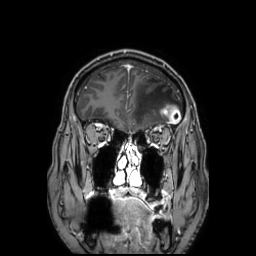
Q: What kind of scan is this?
A: 3 Tesla brain MRI.
Q: Series?
A: 3D T1-weighted TFE with SENSE.
Study: ring-enhancing brain masses.